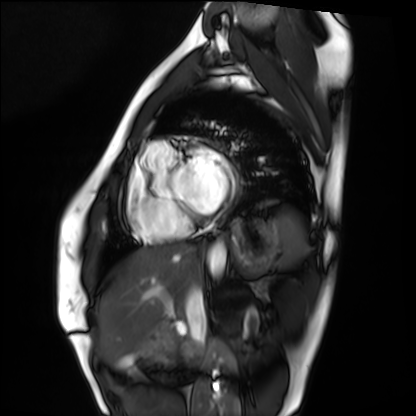
Cardiac MRI. Subject group: healthy volunteer.